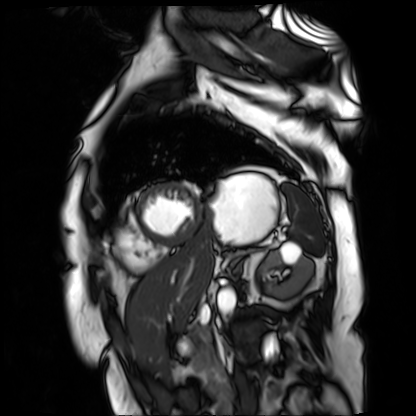
Case summary:
Cardiac MR image of the myocardium. Subject cohort: cardiac patient.